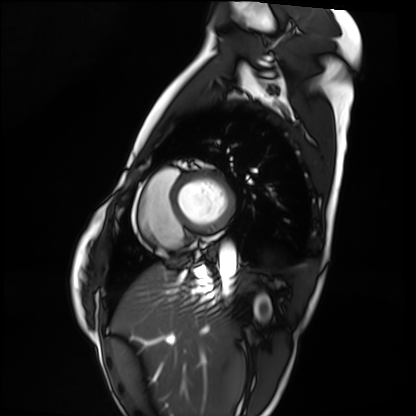
Clinical context:
Cardiac MRI. Subject group: healthy volunteer.